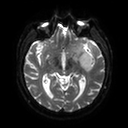
3 Tesla brain MRI. Series: diffusion tensor imaging (medium iso). Study: ring-enhancing brain masses.